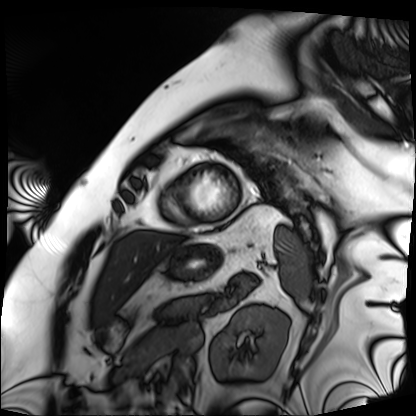
| field | value |
|---|---|
| modality | cardiac MRI |
| subject group | patient |